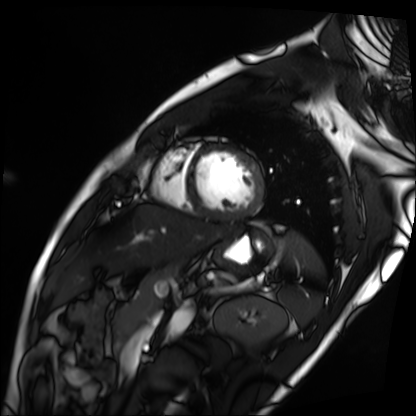
Case summary:
Cardiac MRI. Subject group: patient.